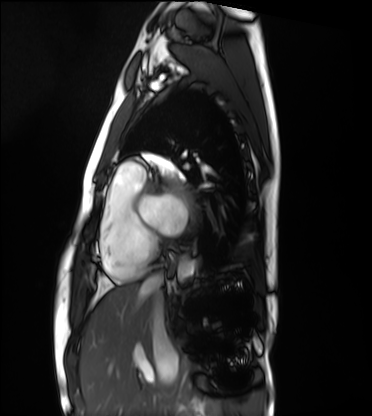
Summary: Cardiac MRI. Subject group: healthy volunteer.